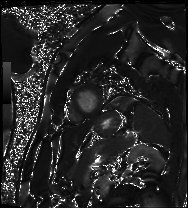
Cardiac MRI.
Subject group: patient.